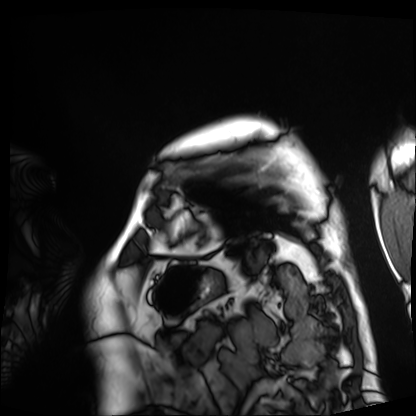
  modality: cardiac MRI
  cohort: patient